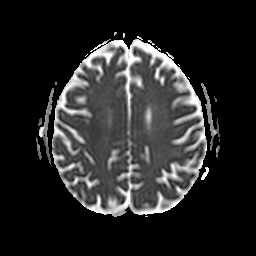
<case>
<modality>
  <type>brain MRI</type>
  <field_strength>3T</field_strength>
</modality>
<series>apparent diffusion coefficient (ADC) map</series>
<study_topic>ring-enhancing brain masses</study_topic>
</case>